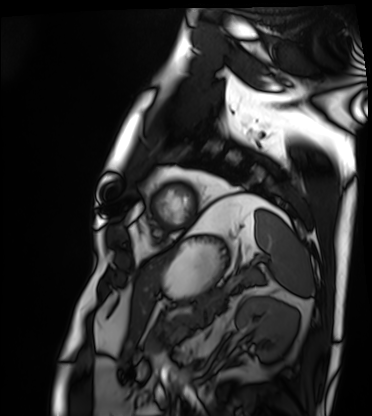
Cardiac MRI.
Subject group: patient.